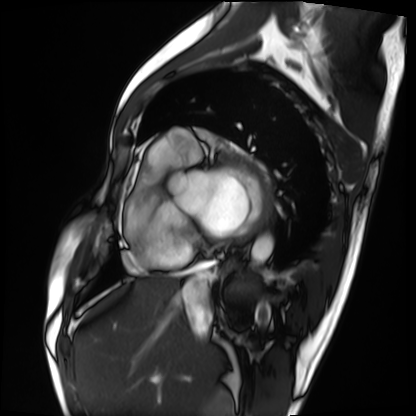
modality: cardiac MRI; subject group: patient.